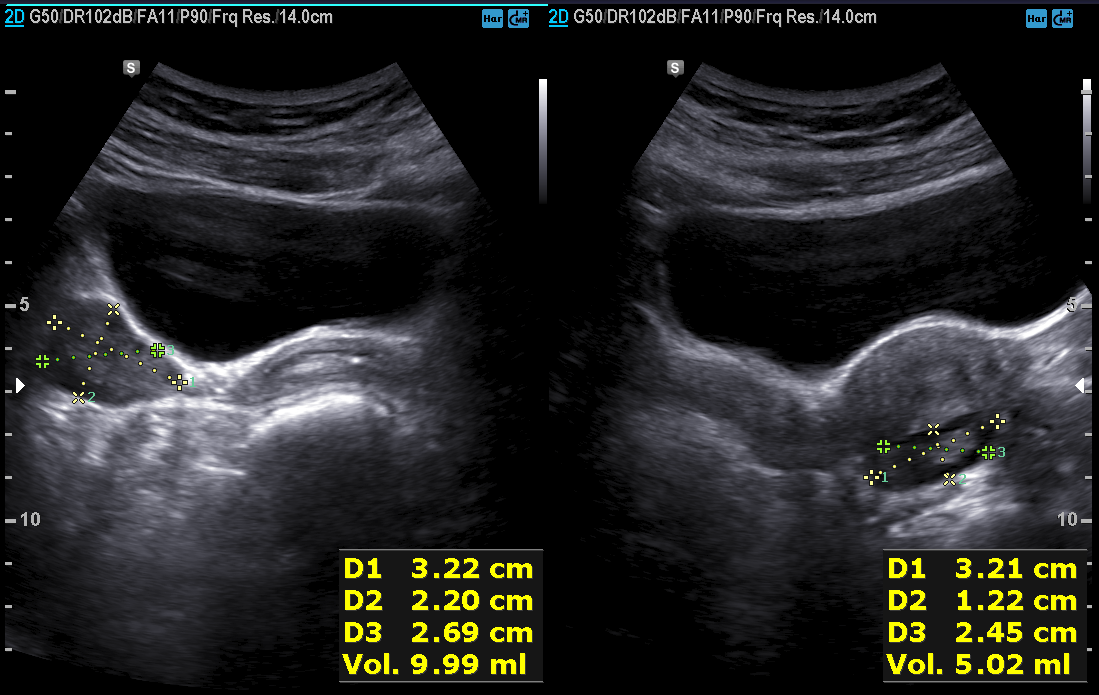
Summary: Genitourinary ultrasound.